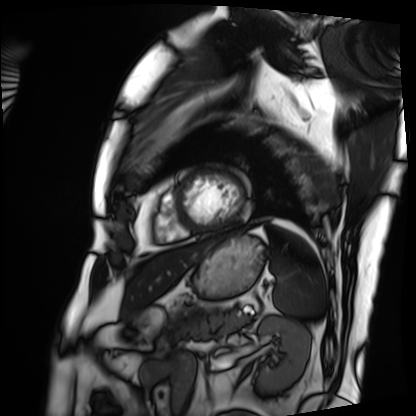
modality=cardiac MRI; subject group=patient.